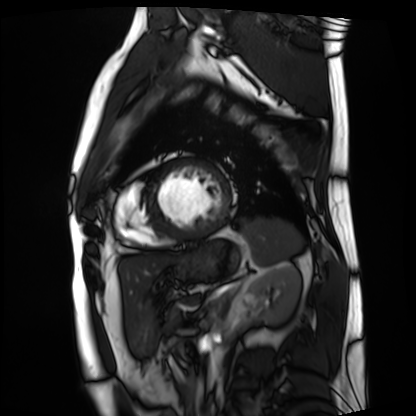
Summary:
Cardiac MRI. Subject group: patient.